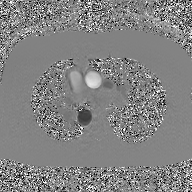
Clinical context:
2D phase-contrast cine MRI of the ascending aorta, GAN super-resolution reconstruction.